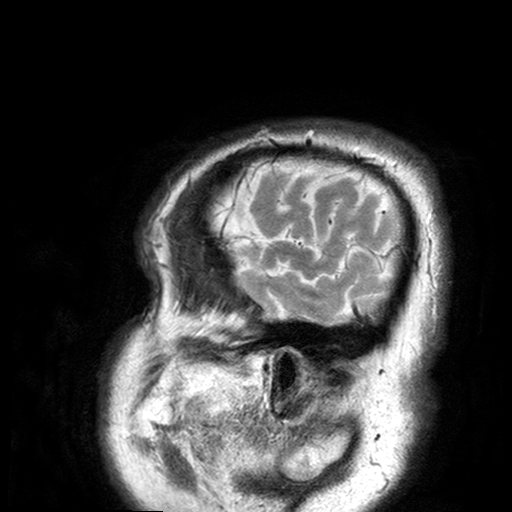
modality = 3 Tesla brain MRI; series = T2-weighted turbo spin echo with SENSE; study = ring-enhancing brain masses.